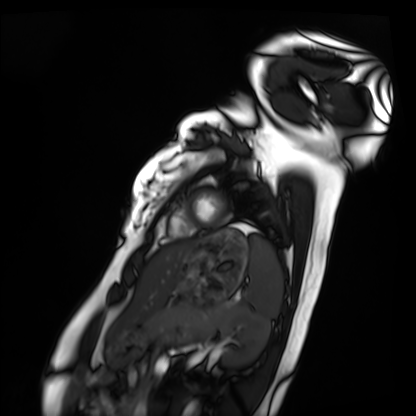
modality = cardiac MRI, subject group = healthy volunteer.